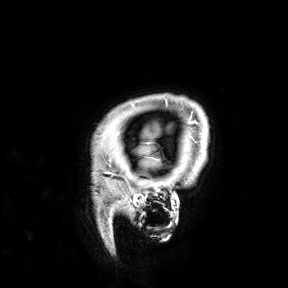
{
  "modality": {
    "type": "brain MRI",
    "field_strength": "3T"
  },
  "study_topic": "ring-enhancing brain masses"
}